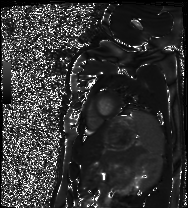
Cardiac MRI. Subject group: healthy volunteer.